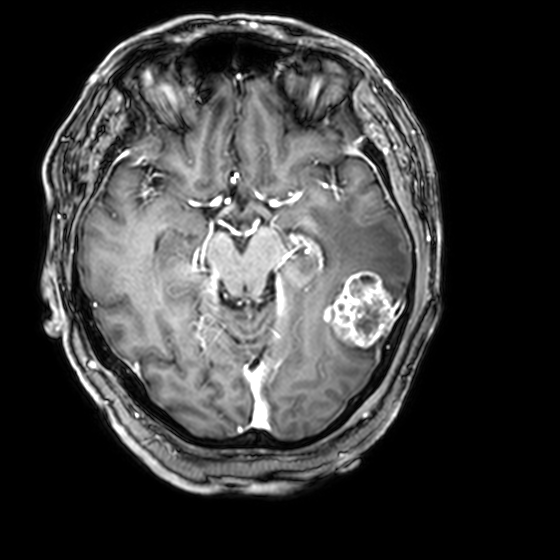
3 Tesla brain MRI. Series: 3D T1-weighted with CLEAR. Study: ring-enhancing brain masses.